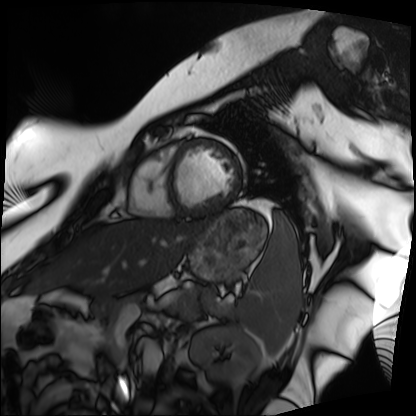
Cardiac MRI. Subject group: patient.